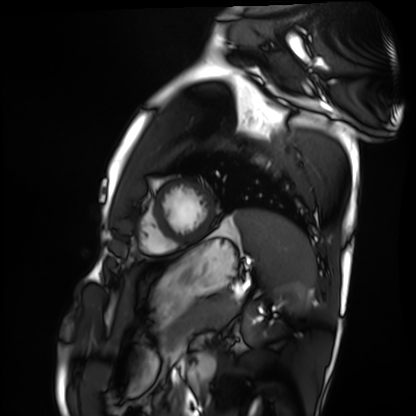
<case>
<modality>cardiac MRI</modality>
<cohort>healthy volunteer</cohort>
</case>